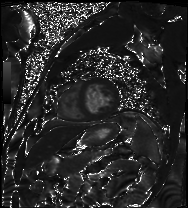
modality — cardiac MRI | subject group — patient.